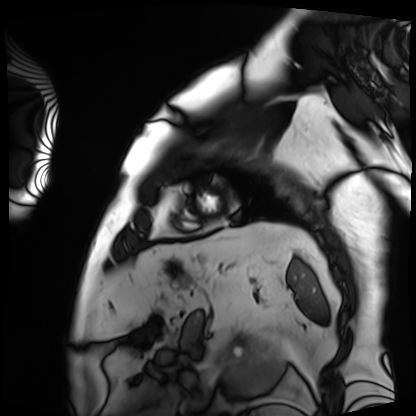
Cardiac MRI.
Subject group: patient.